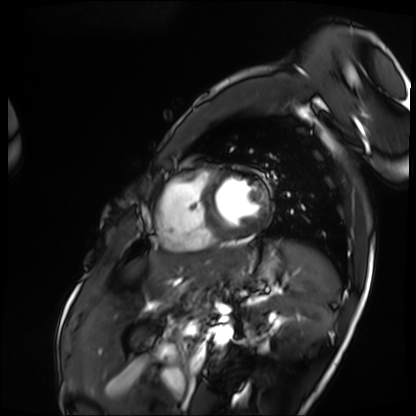
Summary: Cardiac MRI. Subject group: patient.